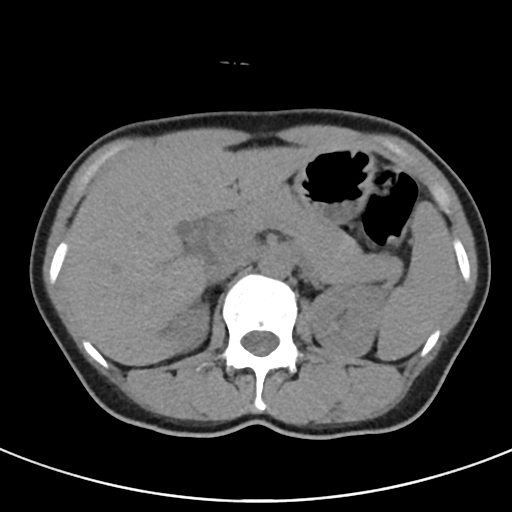
Multiphase abdominal CT, liver, non-contrast phase. Patient: female, age 53. History: viral hepatitis.